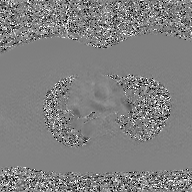
2D phase-contrast cine MRI of the ascending aorta, GAN super-resolution reconstruction.